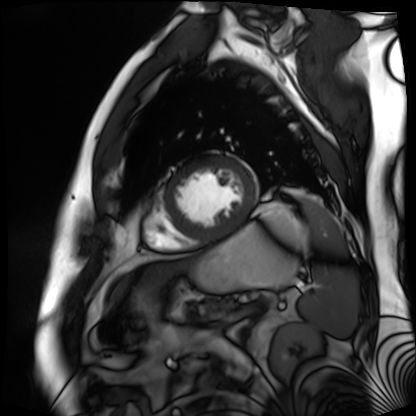
modality: cardiac MR image of the myocardium, subject cohort: cardiac patient.